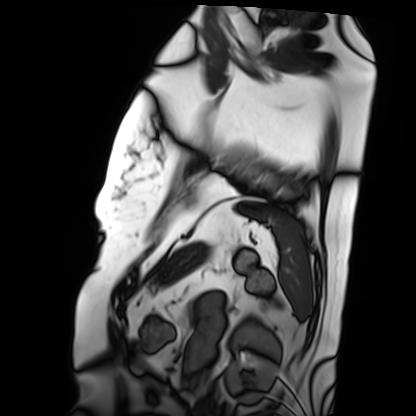
Q: What kind of scan is this?
A: Cardiac MRI.
Subject group: patient.